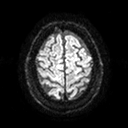
* modality — 3 Tesla brain MRI
* series — diffusion tensor imaging (medium iso)
* study — ring-enhancing brain masses